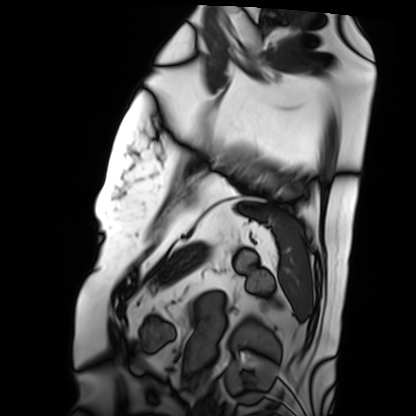
Case summary:
Cardiac MRI. Subject group: patient.